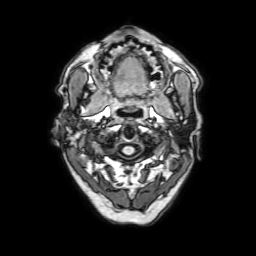
{
  "modality": {
    "type": "brain MRI",
    "field_strength": "3T"
  },
  "series": "3D T1-weighted with SENSE",
  "study_topic": "ring-enhancing brain masses"
}